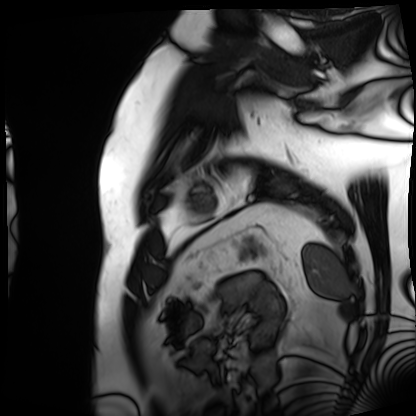
modality: cardiac MRI
subject group: patient